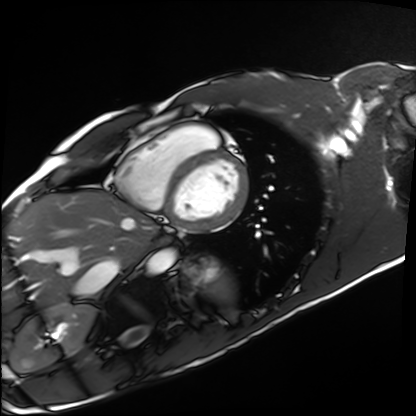
Q: What kind of scan is this?
A: Cardiac MRI.
Subject group: healthy volunteer.